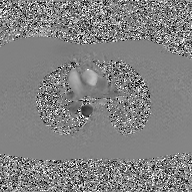
Summary:
2D phase-contrast cine MRI of the ascending aorta, GAN super-resolution reconstruction.